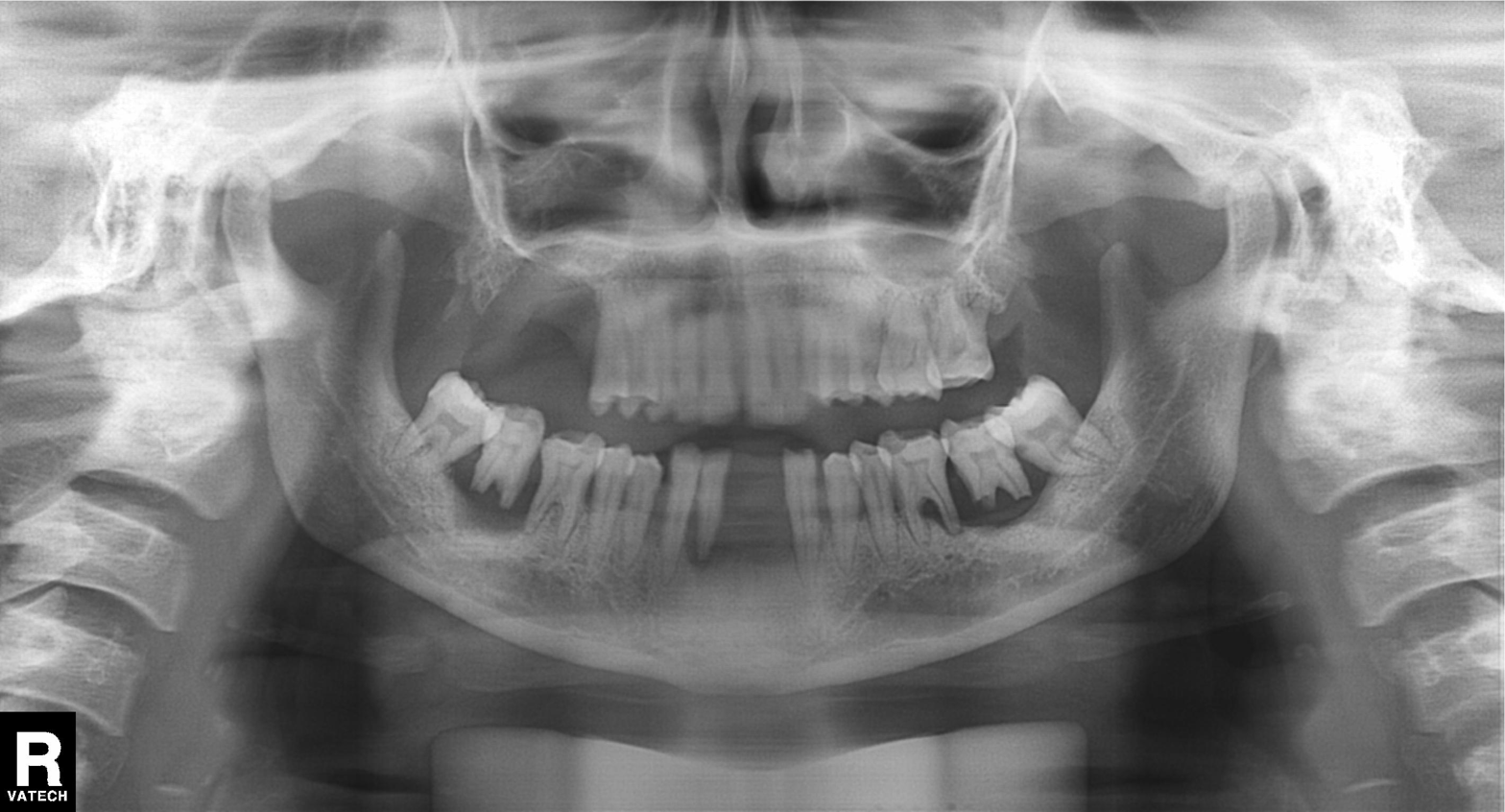
modality=panoramic dental radiograph (orthopantomogram) | finding=alveolar bone loss.